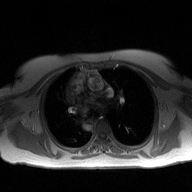
Summary: 2D phase-contrast cine MRI of the ascending aorta, high-resolution GRAPPA acquisition.